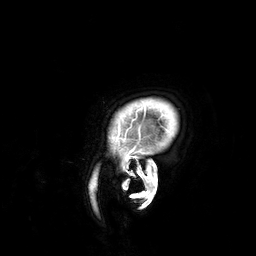
Summary: 3 Tesla brain MRI. Series: 3D T1-weighted. Study: ring-enhancing brain masses.